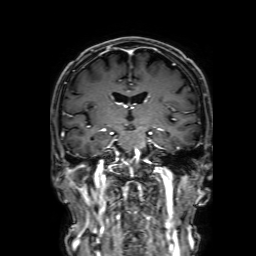
3 Tesla brain MRI. Study: ring-enhancing brain masses.